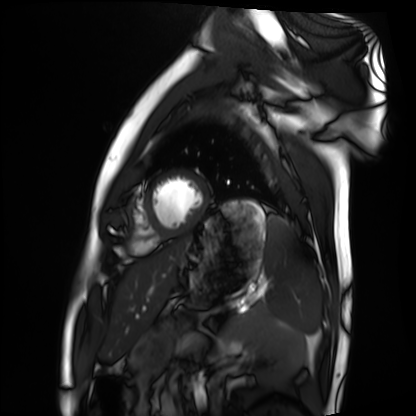
• modality · cardiac MRI
• subject group · healthy volunteer